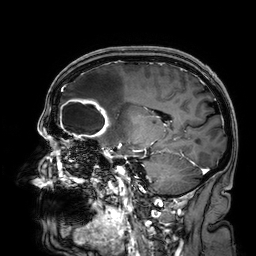
Summary:
3 Tesla brain MRI. Series: 3D T1-weighted. Study: ring-enhancing brain masses.